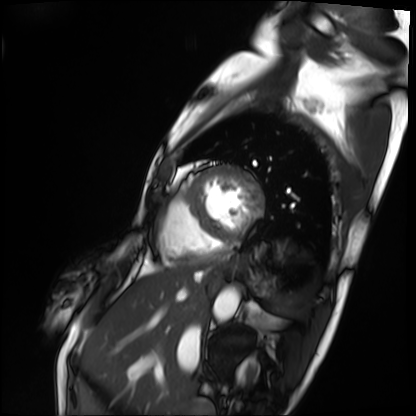
Summary:
Cardiac MRI. Subject group: patient.